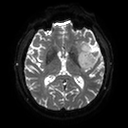
modality: 3 Tesla brain MRI; series: diffusion tensor imaging (medium iso); study: ring-enhancing brain masses.